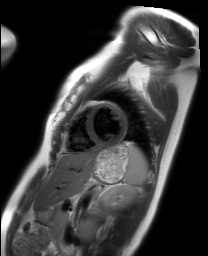
modality: cardiac MRI, subject group: healthy volunteer.